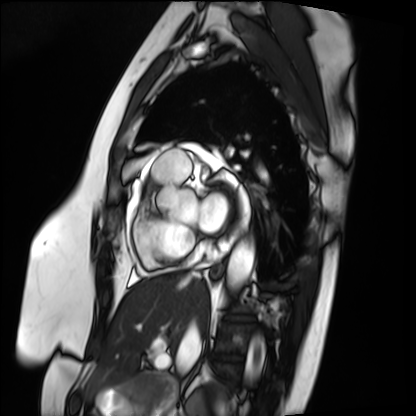
Cardiac MRI. Subject group: patient.